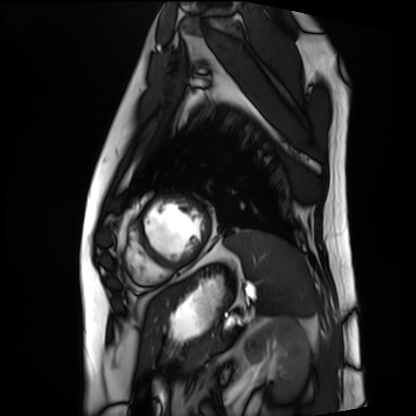
Clinical context:
Cardiac MRI. Subject group: patient.